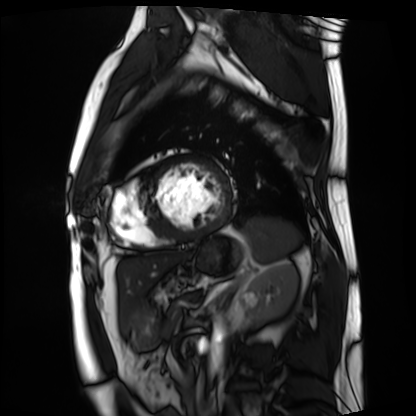
<case>
  <modality>cardiac MRI</modality>
  <cohort>patient</cohort>
</case>